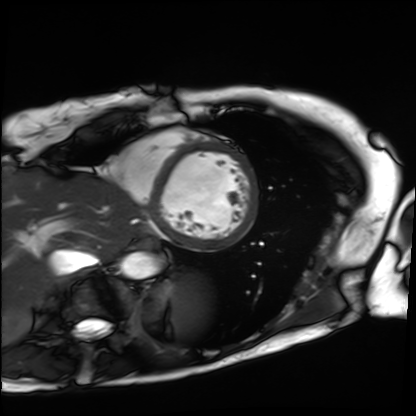
modality: cardiac MRI
cohort: patient